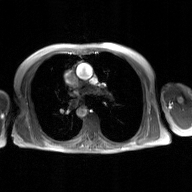
2D phase-contrast cine MRI of the ascending aorta, GAN super-resolution reconstruction.